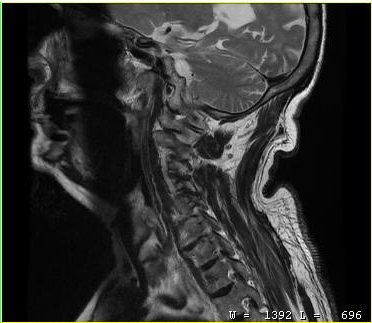
modality = MRI of the cervical spine; study = cervical spondylosis.